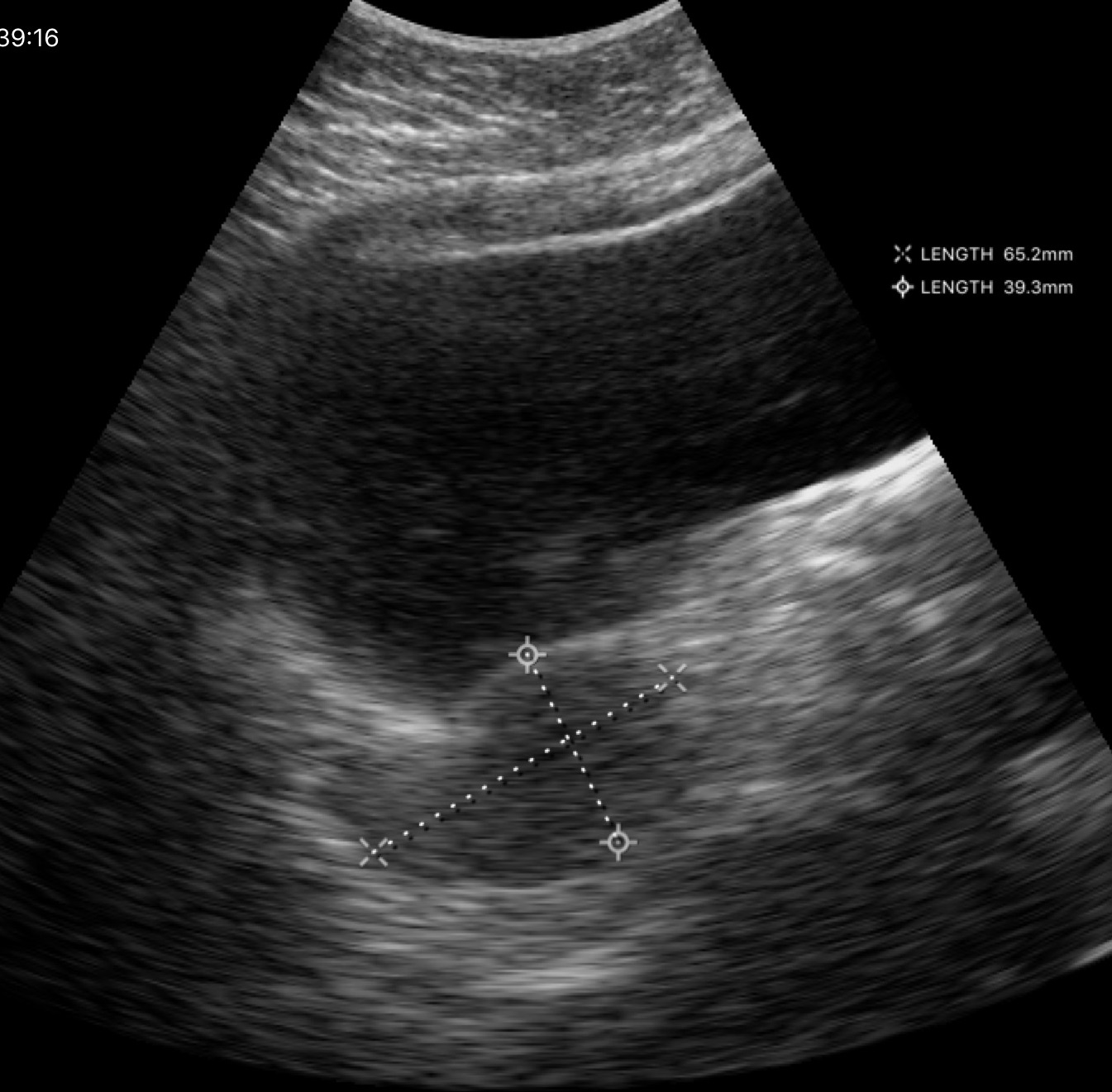
| field | value |
|---|---|
| modality | genitourinary ultrasound |